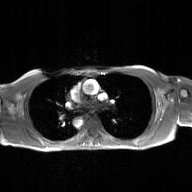
modality — 2D phase-contrast cine MRI of the ascending aorta, GAN super-resolution reconstruction.